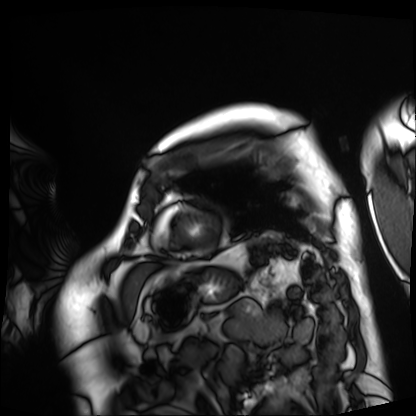
* modality · cardiac MRI
* subject group · patient